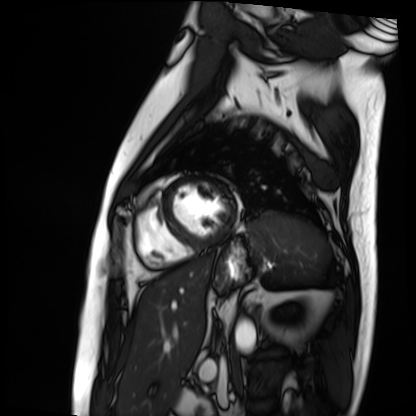
Cardiac MRI. Subject group: patient.